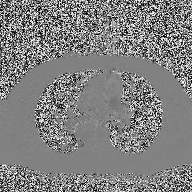
<record>
<modality>
  <type>2D phase-contrast cine MRI</type>
  <region>ascending aorta</region>
  <reconstruction>high-resolution GRAPPA acquisition</reconstruction>
</modality>
</record>